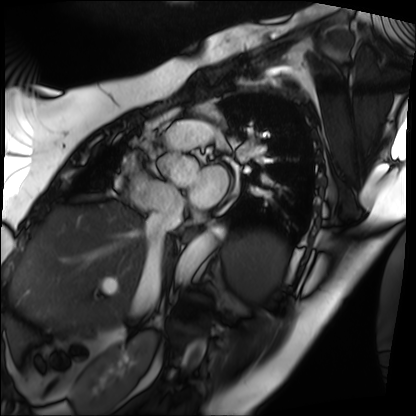
Case summary:
Cardiac MRI. Subject group: patient.